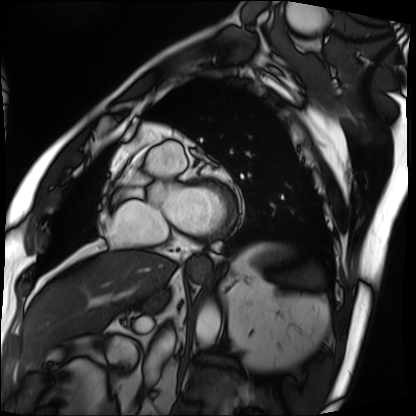
Cardiac MRI.
Subject group: patient.